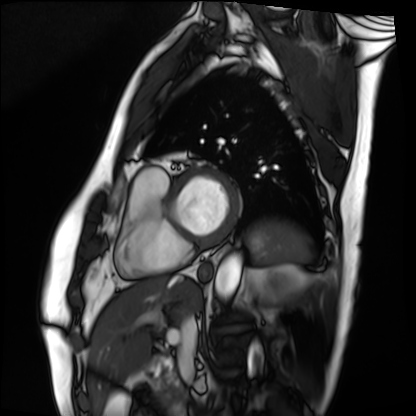
Cardiac MRI. Subject group: patient.